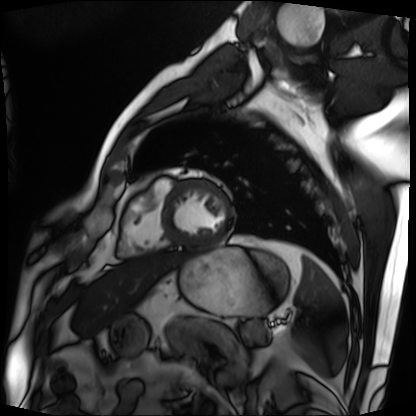
Case summary:
Cardiac MRI. Subject group: patient.